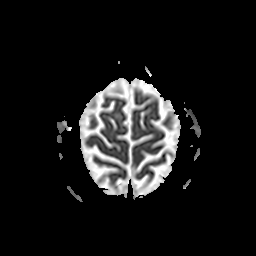
3 Tesla brain MRI. Series: apparent diffusion coefficient (ADC) map. Study: ring-enhancing brain masses.